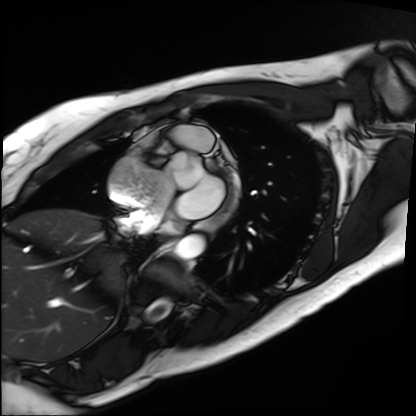
modality: cardiac MRI; subject group: patient.